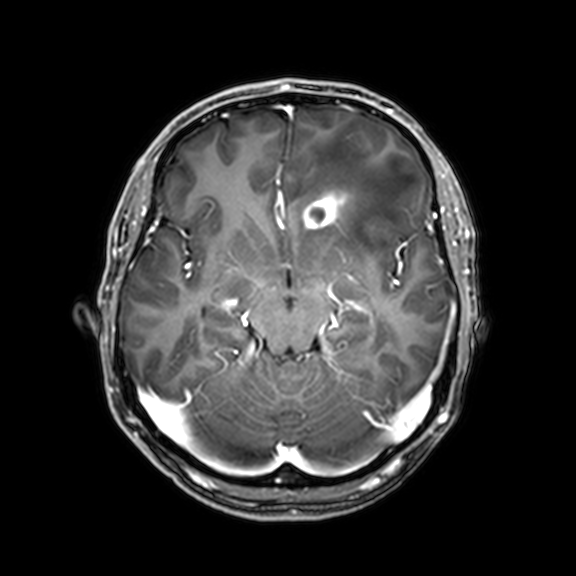
Q: What kind of scan is this?
A: 3 Tesla brain MRI.
Q: Series?
A: 3D T1-weighted with CLEAR.
Study: ring-enhancing brain masses.